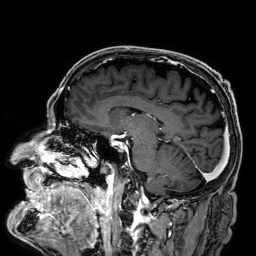
| field | value |
|---|---|
| modality | 3 Tesla brain MRI |
| series | 3D T1-weighted |
| study | ring-enhancing brain masses |